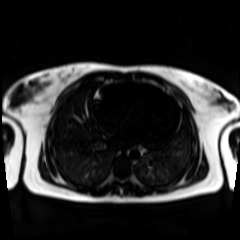
<study>
  <modality>chemical-shift-encoded cardiac MRI</modality>
</study>